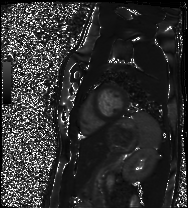
Cardiac MRI. Subject group: healthy volunteer.